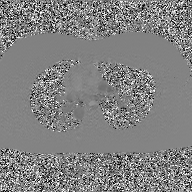
modality: 2D phase-contrast cine MRI of the ascending aorta, GAN super-resolution reconstruction